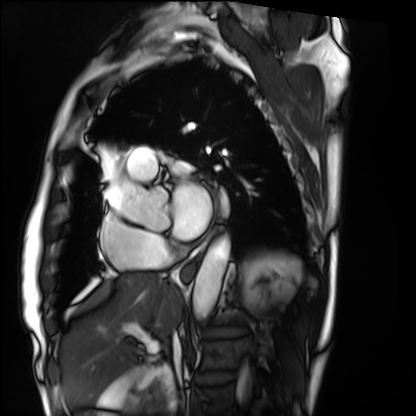
Summary: Cardiac MRI. Subject group: patient.